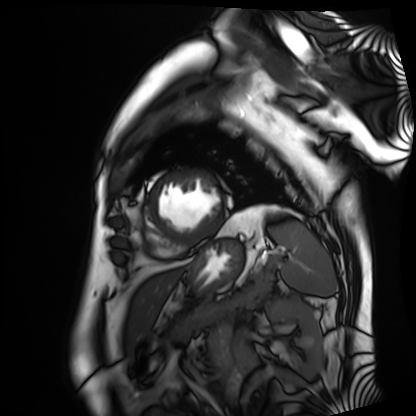
• modality · cardiac MRI
• subject group · patient